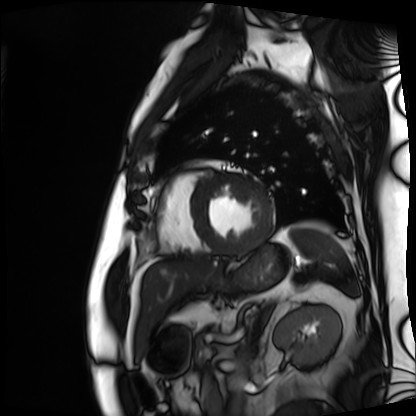
Cardiac MRI. Subject group: patient.